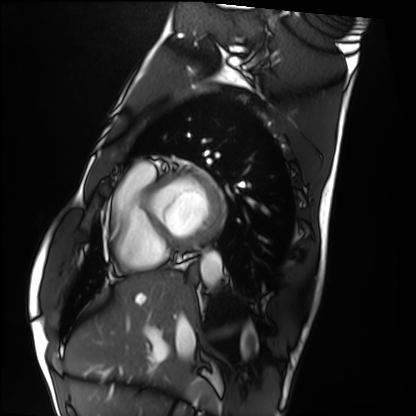
Summary: Cardiac MRI. Subject group: healthy volunteer.